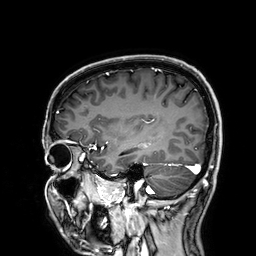
Summary: 3 Tesla brain MRI. Series: 3D T1-weighted. Study: ring-enhancing brain masses.